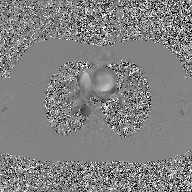
modality = 2D phase-contrast cine MRI of the ascending aorta, GAN super-resolution reconstruction.